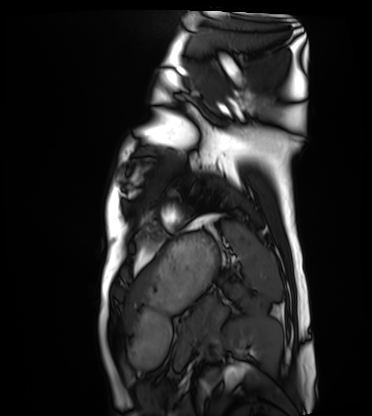
modality: cardiac MRI
subject group: healthy volunteer